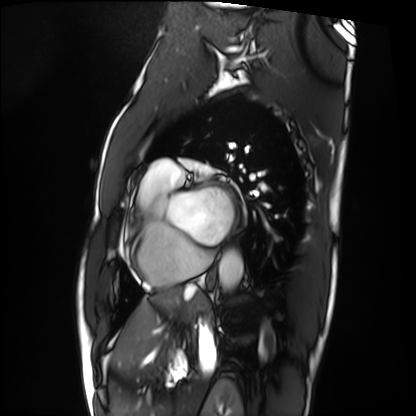
modality = cardiac MRI
subject group = patient